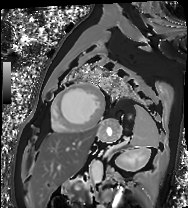
• modality: cardiac MRI
• subject group: patient